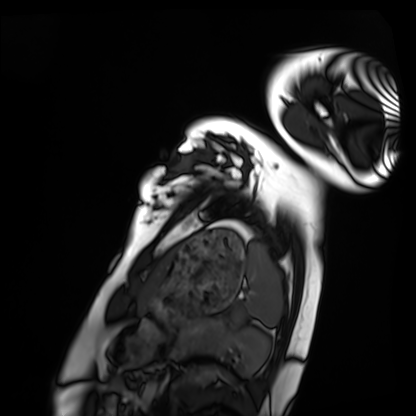
Cardiac MRI.
Subject group: healthy volunteer.